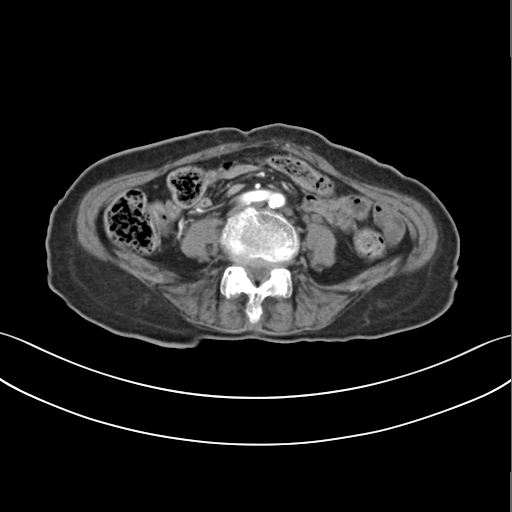
modality: multiphase abdominal CT, liver, arterial phase; patient: female, age 70.